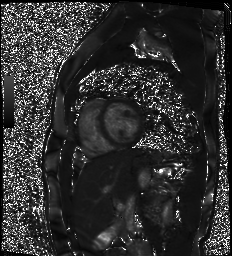
<record>
  <modality>cardiac MR image of the myocardium</modality>
  <cohort>healthy volunteer</cohort>
</record>